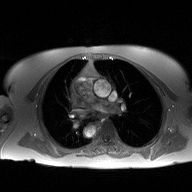
{
  "modality": {
    "type": "2D phase-contrast cine MRI",
    "region": "ascending aorta",
    "reconstruction": "high-resolution GRAPPA acquisition"
  }
}